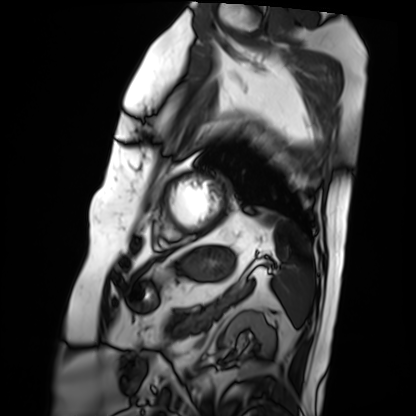
Cardiac MRI. Subject group: patient.